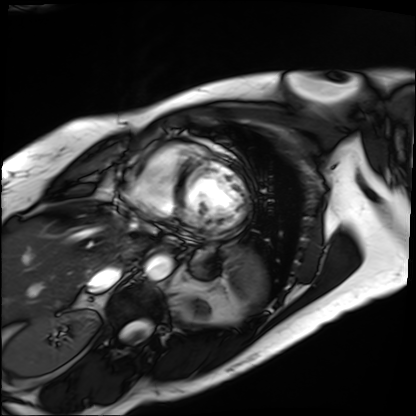
<case>
<modality>cardiac MRI</modality>
<cohort>patient</cohort>
</case>